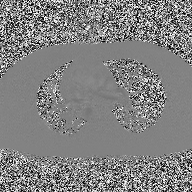
{"modality": {"type": "2D phase-contrast cine MRI", "region": "ascending aorta", "reconstruction": "high-resolution GRAPPA acquisition"}}